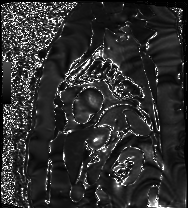
Cardiac MRI. Subject group: patient.